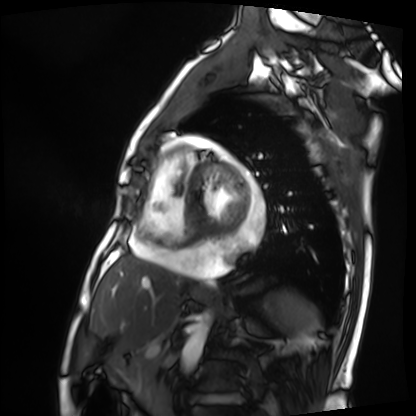
• modality: cardiac MRI
• subject group: patient